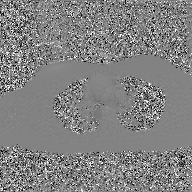
Summary: 2D phase-contrast cine MRI of the ascending aorta, GAN super-resolution reconstruction.